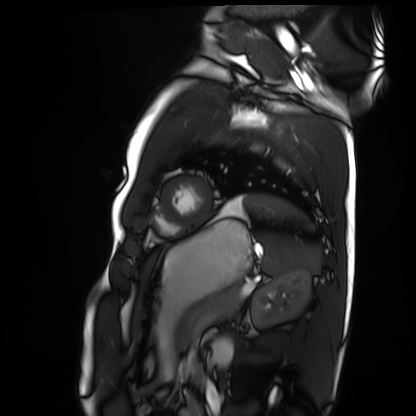
– modality · cardiac MRI
– subject group · healthy volunteer